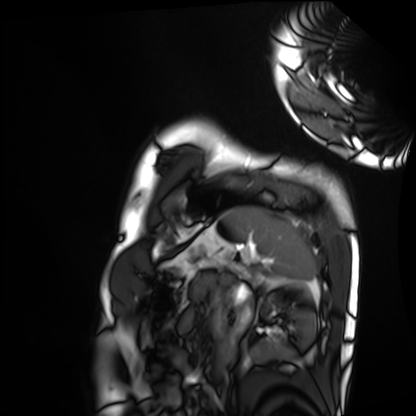
{"modality": "cardiac MRI", "cohort": "healthy volunteer"}